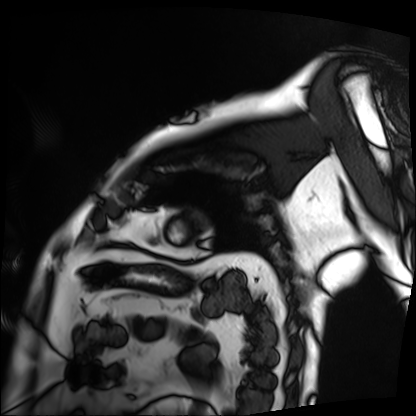
Clinical context: Cardiac MRI. Subject group: patient.